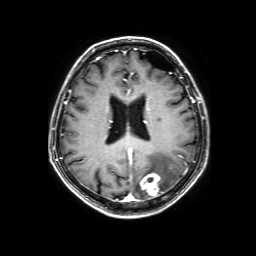
3 Tesla brain MRI.
Series: 3D T1-weighted with SENSE.
Study: ring-enhancing brain masses.